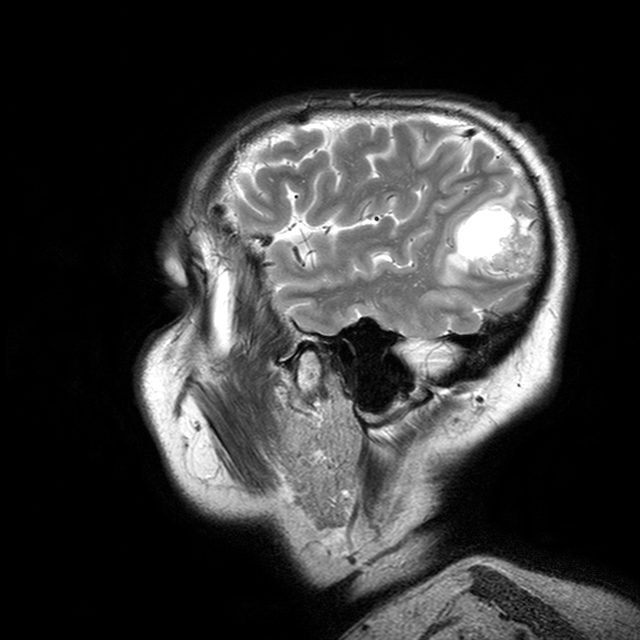
{
  "modality": {
    "type": "brain MRI",
    "field_strength": "3T"
  },
  "series": "T2-weighted turbo spin echo with CLEAR",
  "study_topic": "ring-enhancing brain masses"
}